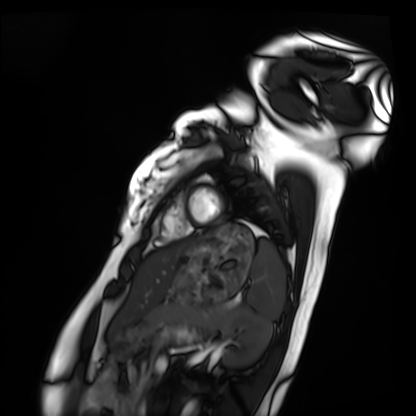
Cardiac MRI.
Subject group: healthy volunteer.